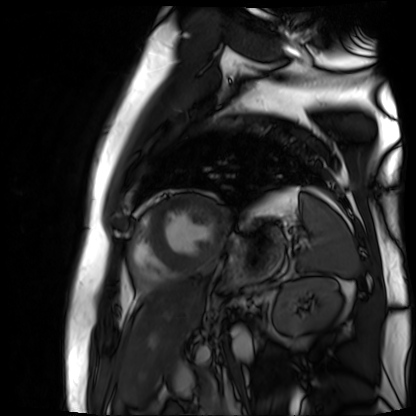
modality: cardiac MR image of the myocardium | subject cohort: cardiac patient.